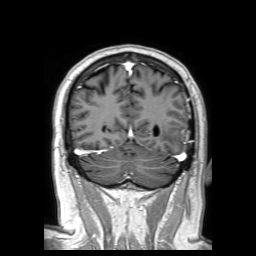
Clinical context: 3 Tesla brain MRI. Series: 3D T1-weighted TFE with SENSE. Study: ring-enhancing brain masses.